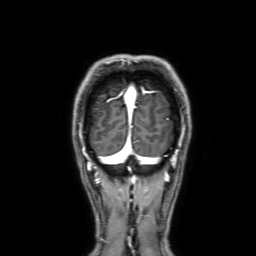
3 Tesla brain MRI. Series: 3D T1-weighted with SENSE. Study: ring-enhancing brain masses.